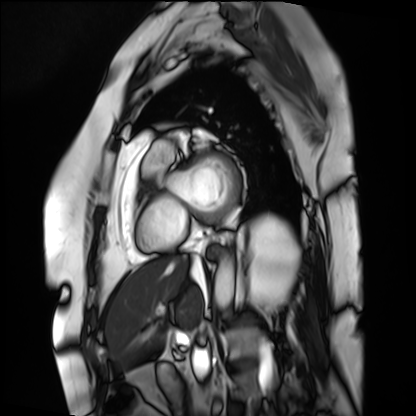
<case>
  <modality>cardiac MRI</modality>
  <cohort>patient</cohort>
</case>